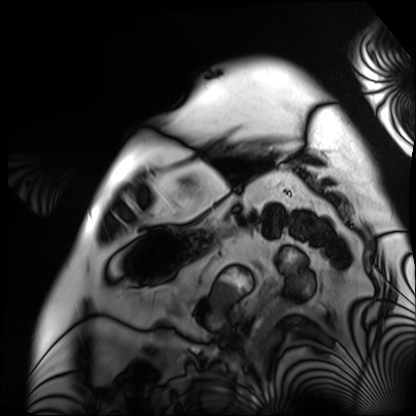
Clinical context:
Cardiac MRI. Subject group: patient.